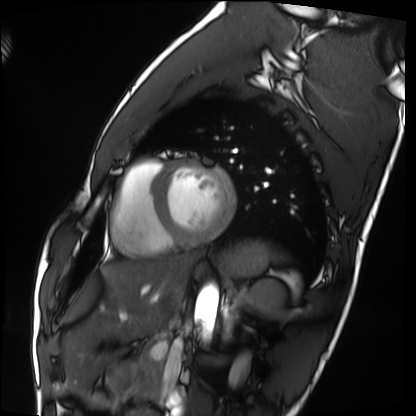
Clinical context:
Cardiac MRI. Subject group: healthy volunteer.